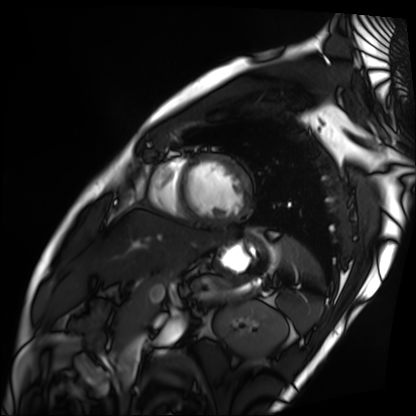
modality = cardiac MRI, subject group = patient.